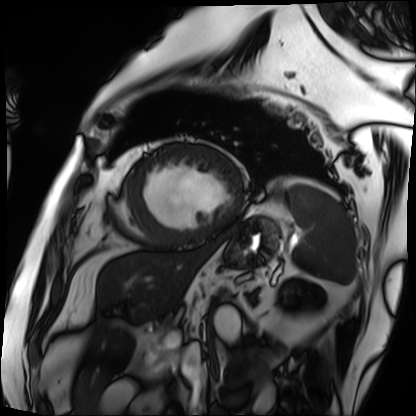
Cardiac MRI.
Subject group: patient.